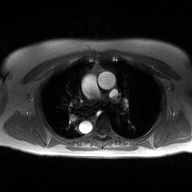
Clinical context: 2D phase-contrast cine MRI of the ascending aorta, high-resolution GRAPPA acquisition.